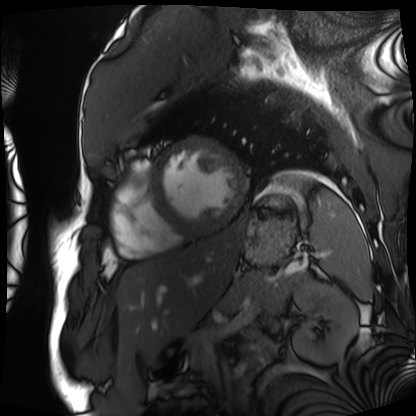
Cardiac MRI. Subject group: patient.